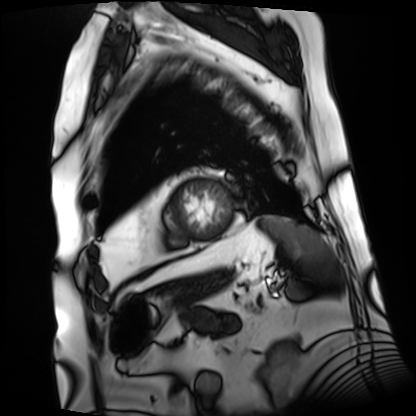
Cardiac MRI. Subject group: patient.